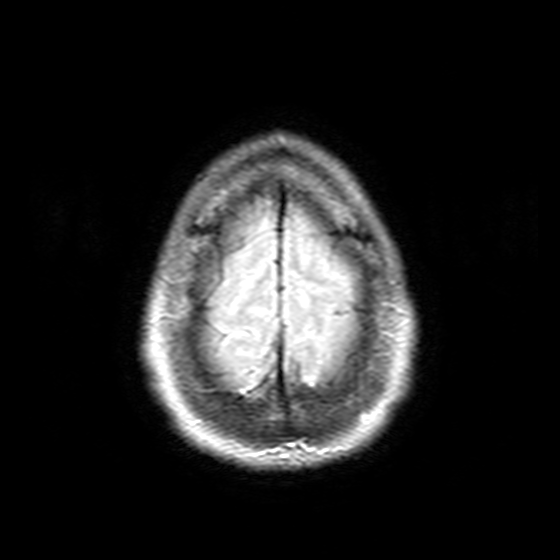
* modality · 3 Tesla brain MRI
* study · ring-enhancing brain masses